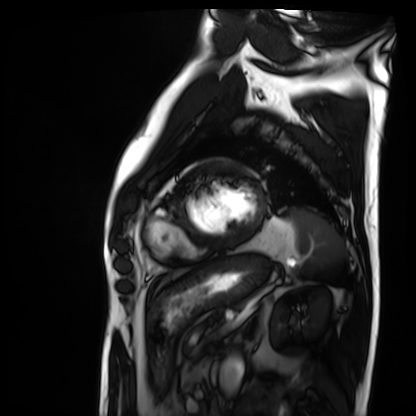
Cardiac MRI. Subject group: patient.